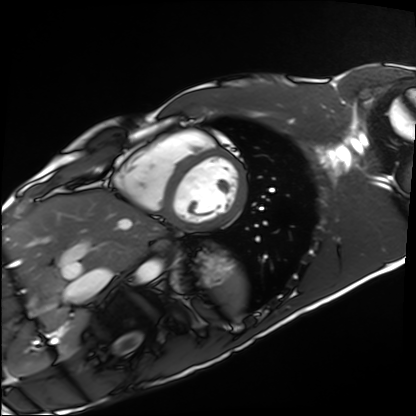
Cardiac MRI. Subject group: healthy volunteer.